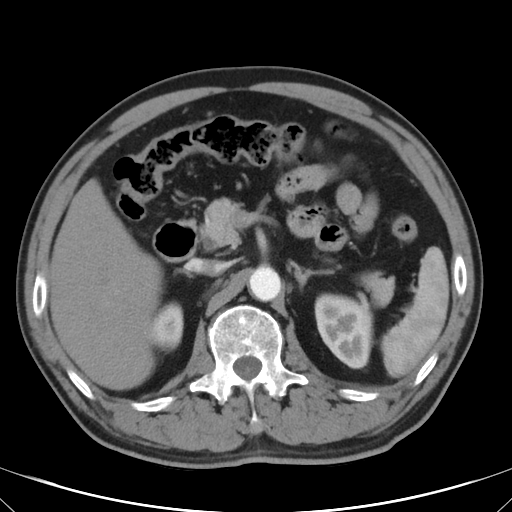
modality: multiphase abdominal CT, liver, arterial phase
patient: male, age 62